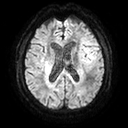
Q: What kind of scan is this?
A: 3 Tesla brain MRI.
Q: Series?
A: Diffusion tensor imaging (medium iso).
Study: ring-enhancing brain masses.